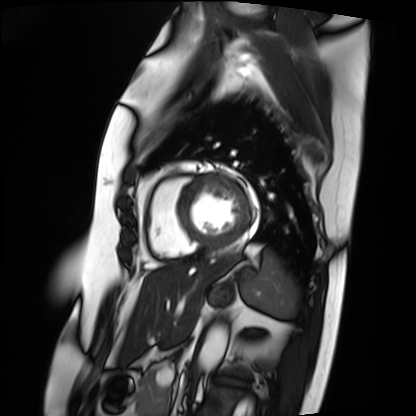
• modality · cardiac MRI
• subject group · patient